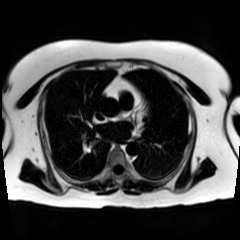
modality — chemical-shift-encoded cardiac MRI.